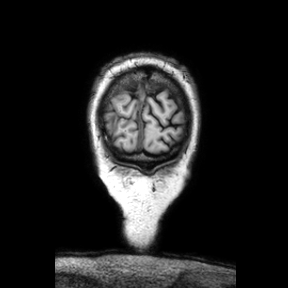
Q: What kind of scan is this?
A: 3 Tesla brain MRI.
Q: Series?
A: Coronal.
Study: ring-enhancing brain masses.